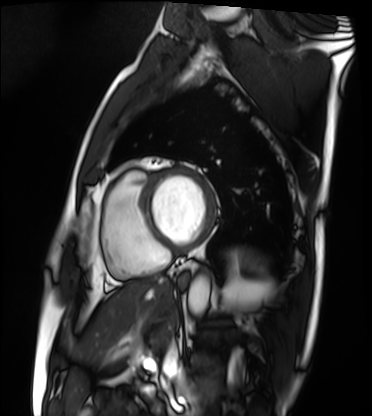
| field | value |
|---|---|
| modality | cardiac MRI |
| subject group | patient |